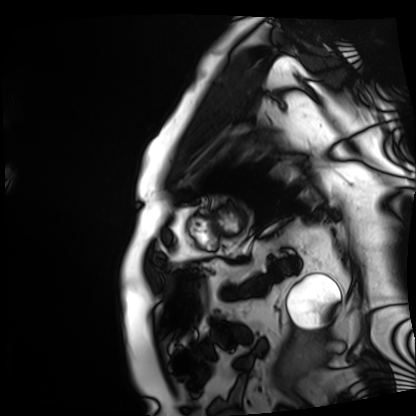
Cardiac MRI. Subject group: patient.